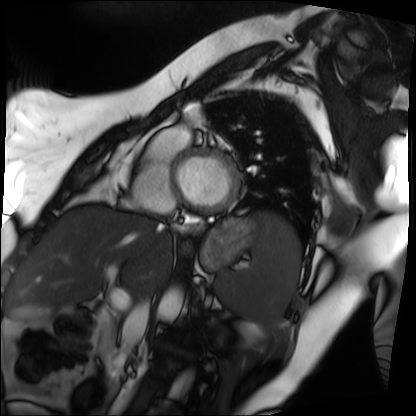
Cardiac MRI. Subject group: patient.